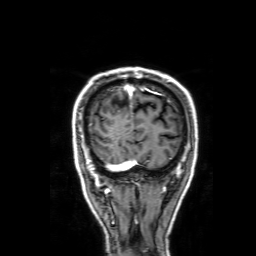
3 Tesla brain MRI. Study: ring-enhancing brain masses.